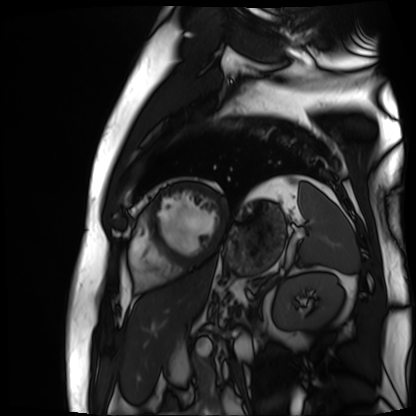
modality: cardiac MR image of the myocardium
cohort: cardiac patient